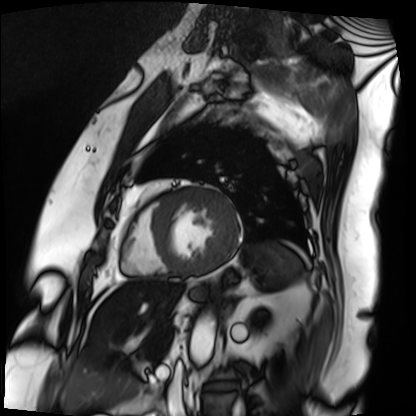
| field | value |
|---|---|
| modality | cardiac MRI |
| subject group | patient |